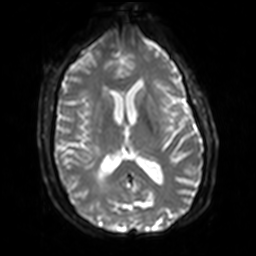
Summary: 3 Tesla brain MRI. Series: diffusion-weighted imaging with SENSE (WIP). Study: ring-enhancing brain masses.